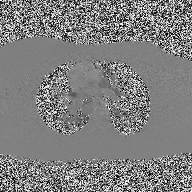
modality:
  type: 2D phase-contrast cine MRI
  region: ascending aorta
  reconstruction: high-resolution GRAPPA acquisition